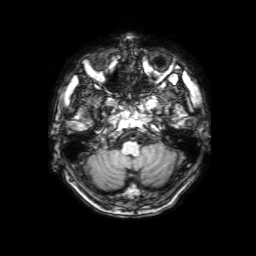
modality: 3 Tesla brain MRI | series: 3D T1-weighted with SENSE | study: ring-enhancing brain masses.